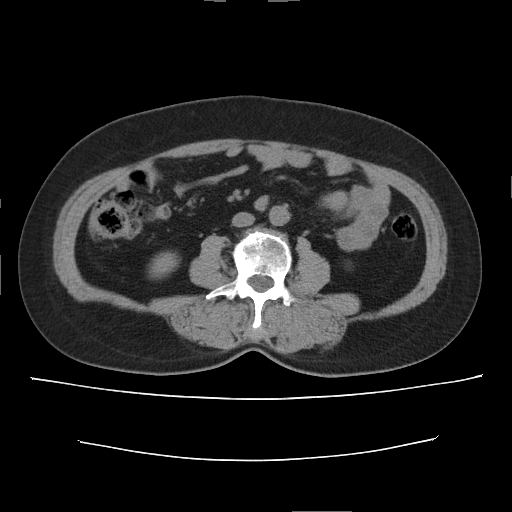
Multiphase abdominal CT, liver, non-contrast phase.
Patient: female, age 56.
History: cirrhosis, prior chemotherapy.